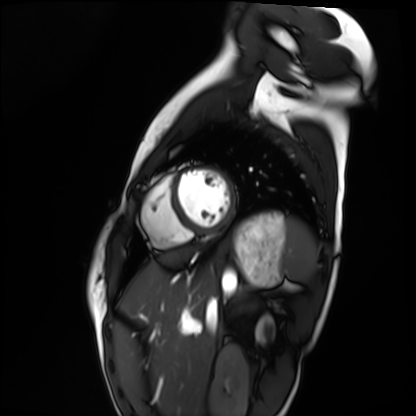
modality = cardiac MRI
subject group = healthy volunteer